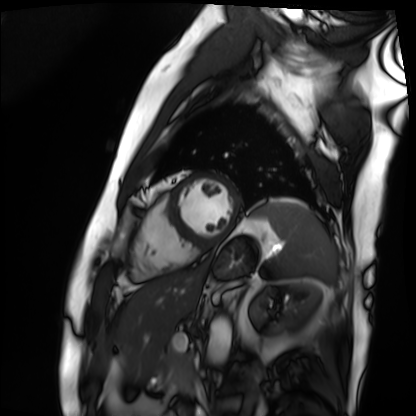
Summary:
Cardiac MRI. Subject group: patient.